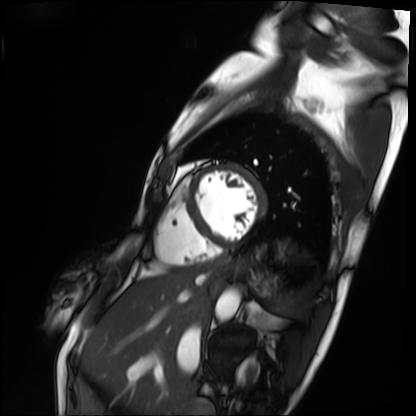
{
  "modality": "cardiac MRI",
  "cohort": "patient"
}